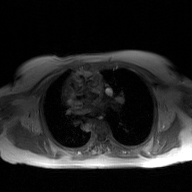
modality:
  type: 2D phase-contrast cine MRI
  region: ascending aorta
  reconstruction: GAN super-resolution reconstruction